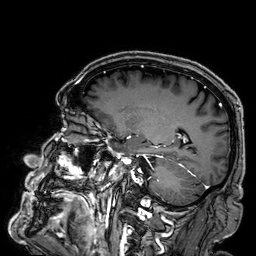
Q: What kind of scan is this?
A: 3 Tesla brain MRI.
Study: ring-enhancing brain masses.